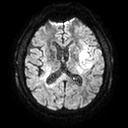
– modality: 3 Tesla brain MRI
– series: diffusion tensor imaging (medium iso)
– study: ring-enhancing brain masses